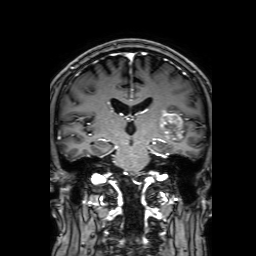
Case summary:
3 Tesla brain MRI. Series: 3D T1-weighted with SENSE. Study: ring-enhancing brain masses.